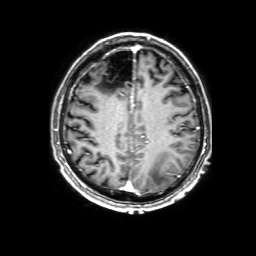
3 Tesla brain MRI.
Series: 3D T1-weighted with SENSE.
Study: ring-enhancing brain masses.